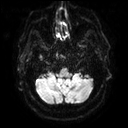
3 Tesla brain MRI. Series: diffusion tensor imaging (medium iso). Study: ring-enhancing brain masses.